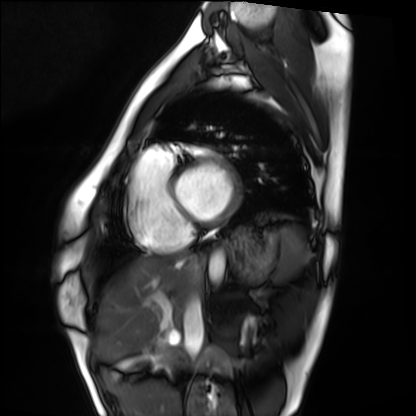
{"modality": "cardiac MRI", "cohort": "healthy volunteer"}